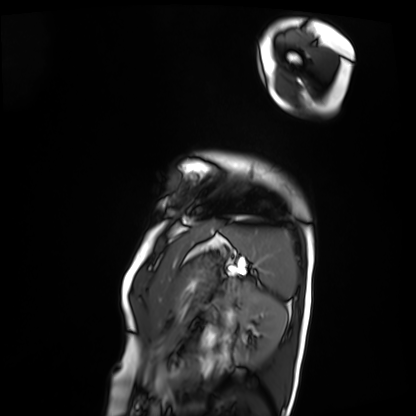
Case summary: Cardiac MRI. Subject group: patient.